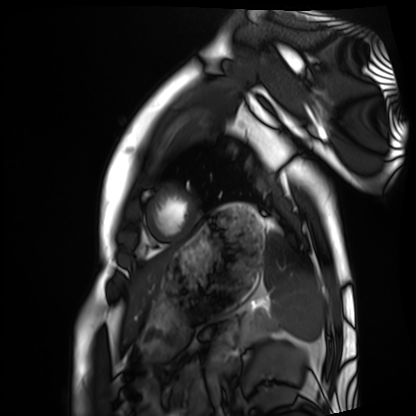
{"modality": "cardiac MRI", "cohort": "healthy volunteer"}